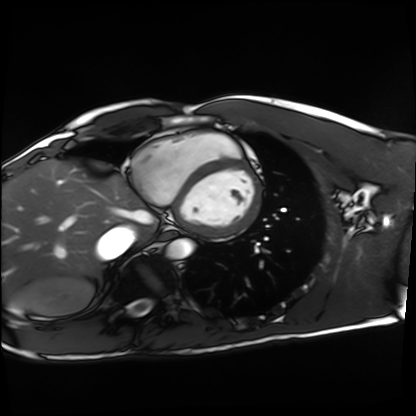
Cardiac MRI.
Subject group: healthy volunteer.